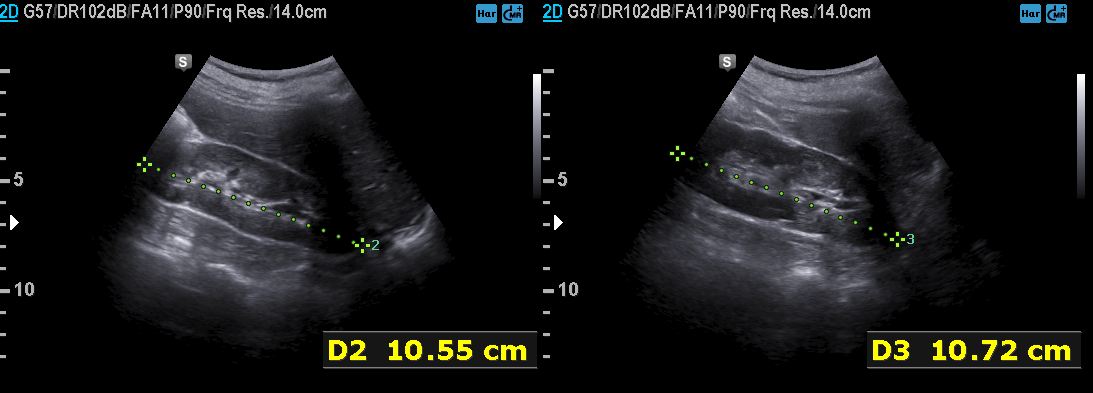
Summary: Genitourinary ultrasound.